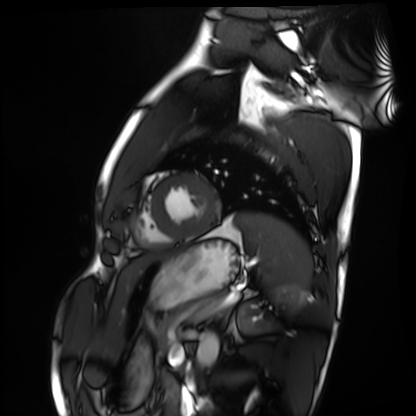
Cardiac MRI.
Subject group: healthy volunteer.